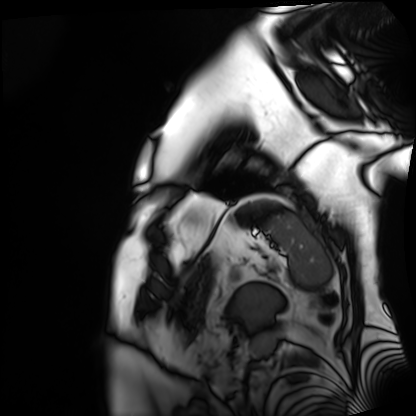
Case summary: Cardiac MRI. Subject group: patient.